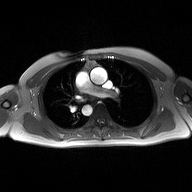
2D phase-contrast cine MRI of the ascending aorta, high-resolution GRAPPA acquisition.